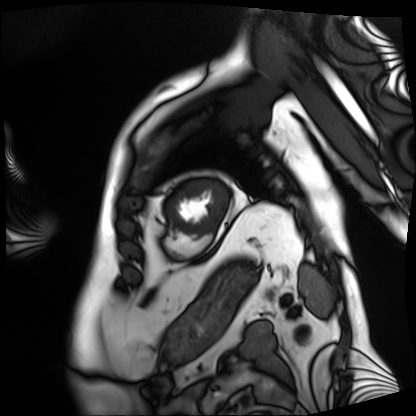
modality: cardiac MRI
subject group: patient